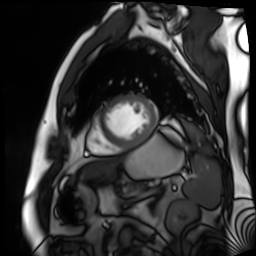
Cardiac MR image of the myocardium. Subject cohort: cardiac patient.